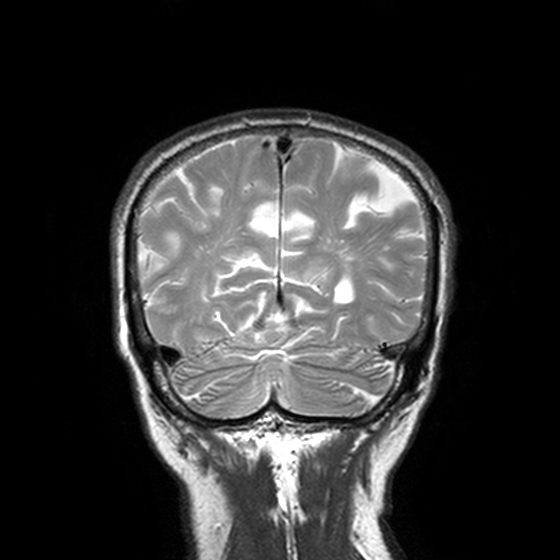
| field | value |
|---|---|
| modality | 3 Tesla brain MRI |
| study | ring-enhancing brain masses |